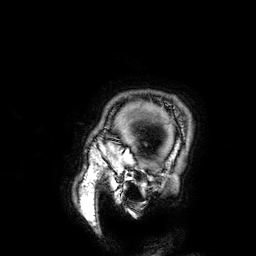
modality:
  type: brain MRI
  field_strength: 3T
series: 3D T1-weighted
study_topic: ring-enhancing brain masses